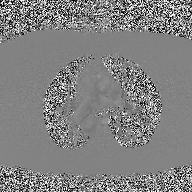
Case summary: 2D phase-contrast cine MRI of the ascending aorta, high-resolution GRAPPA acquisition.